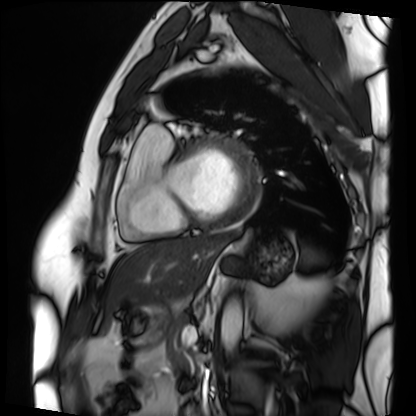
| field | value |
|---|---|
| modality | cardiac MRI |
| subject group | patient |